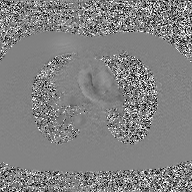
Summary:
2D phase-contrast cine MRI of the ascending aorta, GAN super-resolution reconstruction.